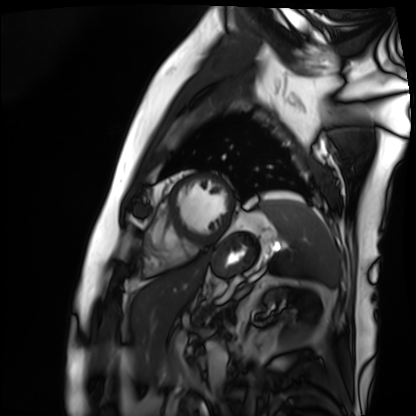
* modality — cardiac MRI
* subject group — patient